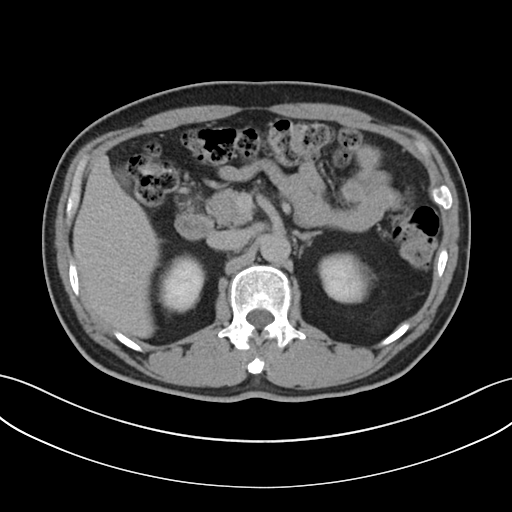
Summary: Multiphase abdominal CT, liver, delayed phase. Patient: male, age 51.